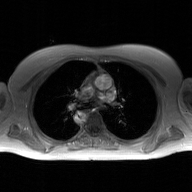
2D phase-contrast cine MRI of the ascending aorta, GAN super-resolution reconstruction.